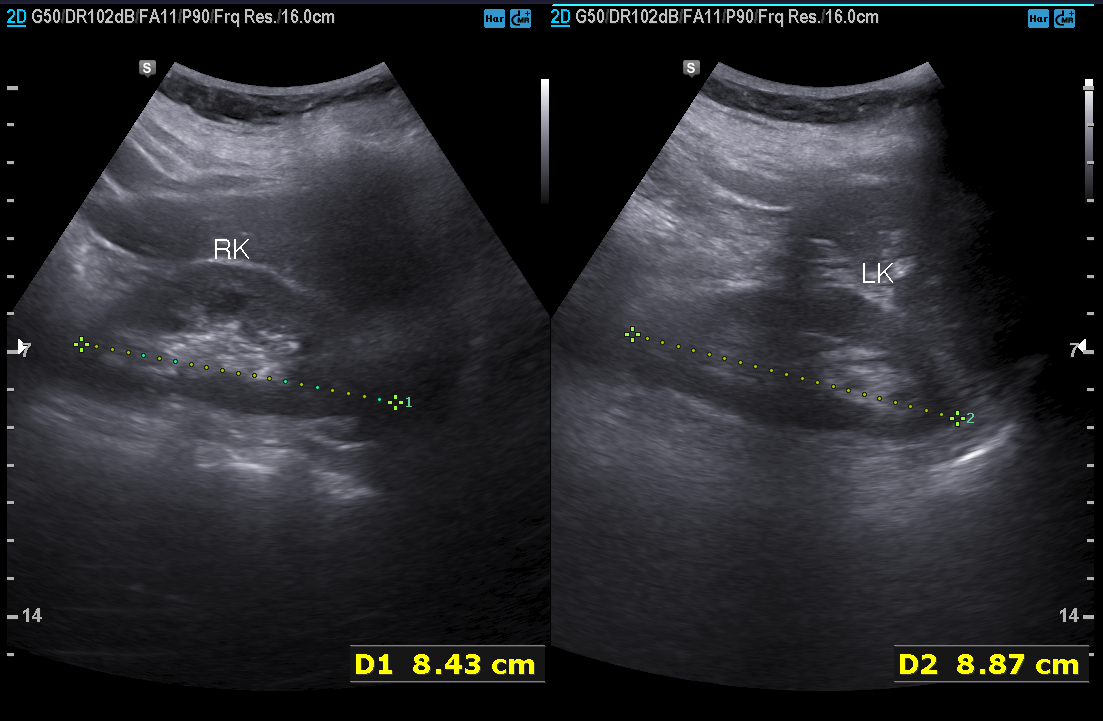
modality = genitourinary ultrasound.